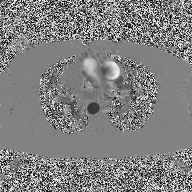
{
  "modality": {
    "type": "2D phase-contrast cine MRI",
    "region": "ascending aorta",
    "reconstruction": "high-resolution GRAPPA acquisition"
  }
}